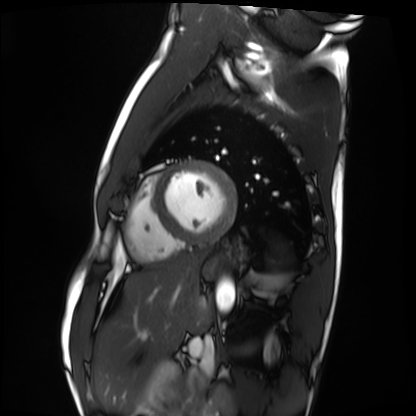
<scan>
  <modality>cardiac MRI</modality>
  <cohort>healthy volunteer</cohort>
</scan>